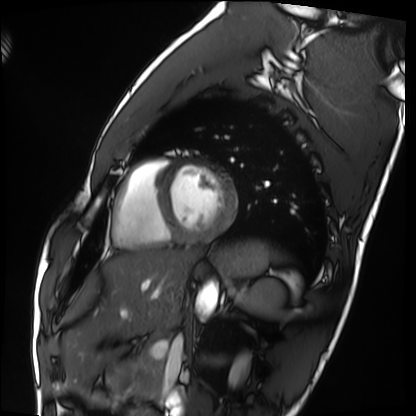
Cardiac MRI.
Subject group: healthy volunteer.